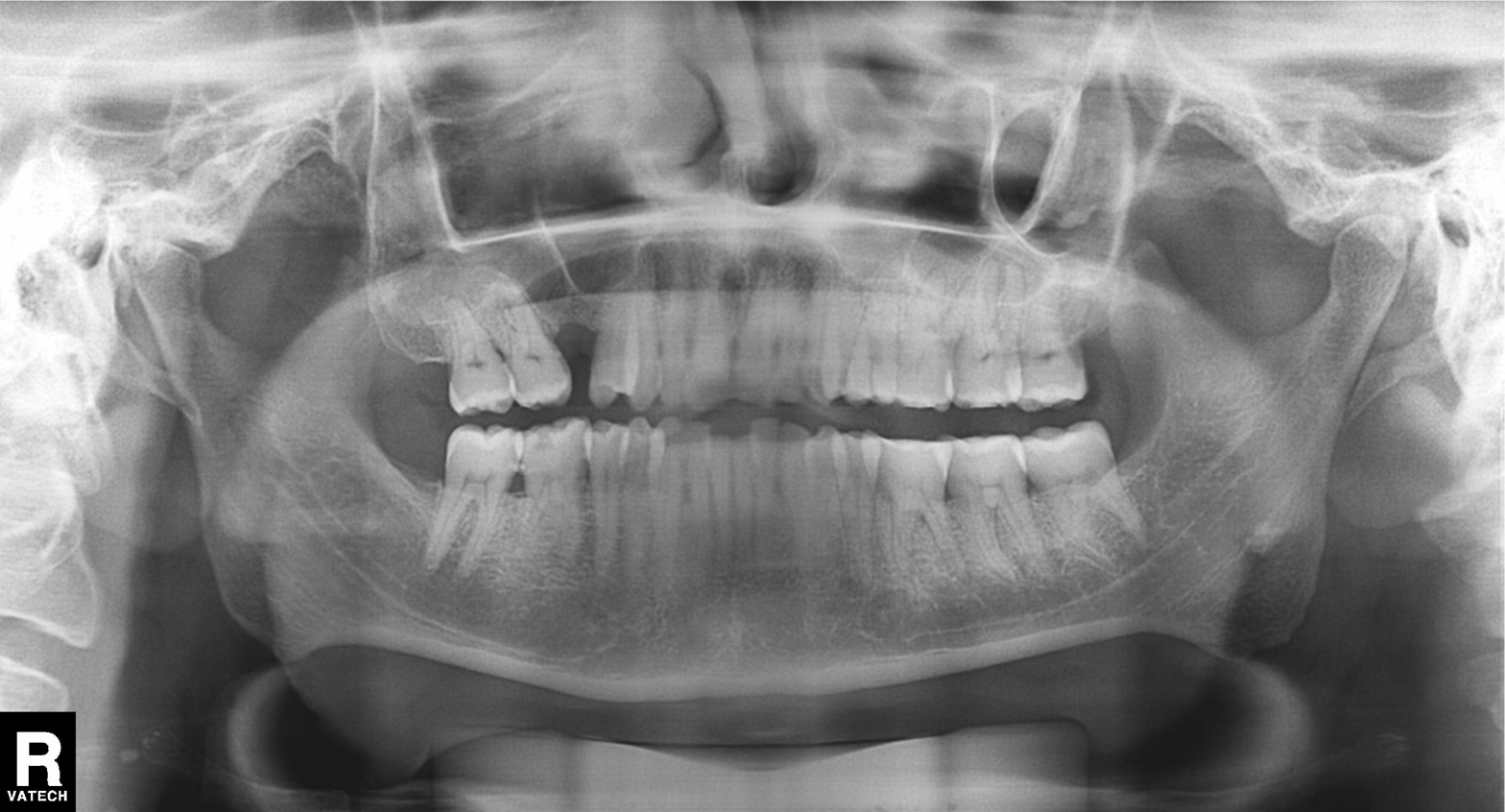
<scan>
<modality>panoramic dental radiograph (orthopantomogram)</modality>
<finding>alveolar bone loss</finding>
</scan>